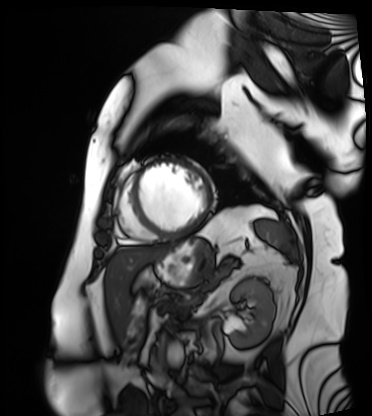
Summary: Cardiac MRI. Subject group: patient.